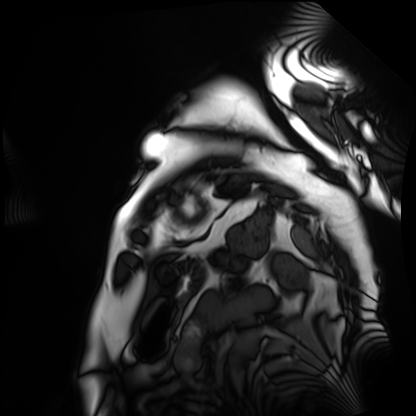
Case summary:
Cardiac MRI. Subject group: patient.